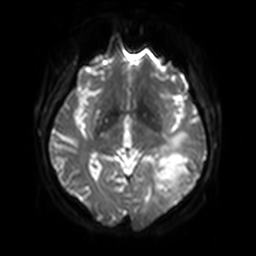
{
  "modality": {
    "type": "brain MRI",
    "field_strength": "3T"
  },
  "series": "diffusion-weighted imaging with SENSE (WIP)",
  "study_topic": "ring-enhancing brain masses"
}